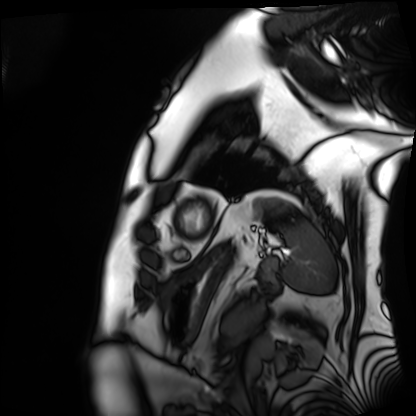
Case summary: Cardiac MRI. Subject group: patient.